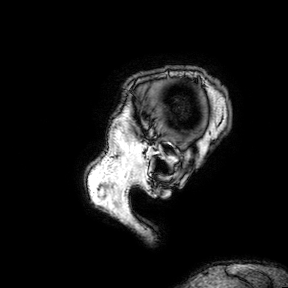
3 Tesla brain MRI. Series: 3D T1-weighted turbo field echo with SENSE. Study: ring-enhancing brain masses.